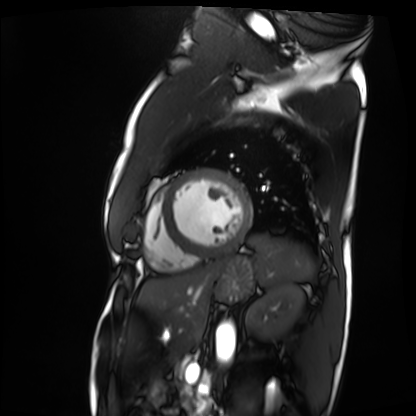
Q: What kind of scan is this?
A: Cardiac MRI.
Subject group: patient.